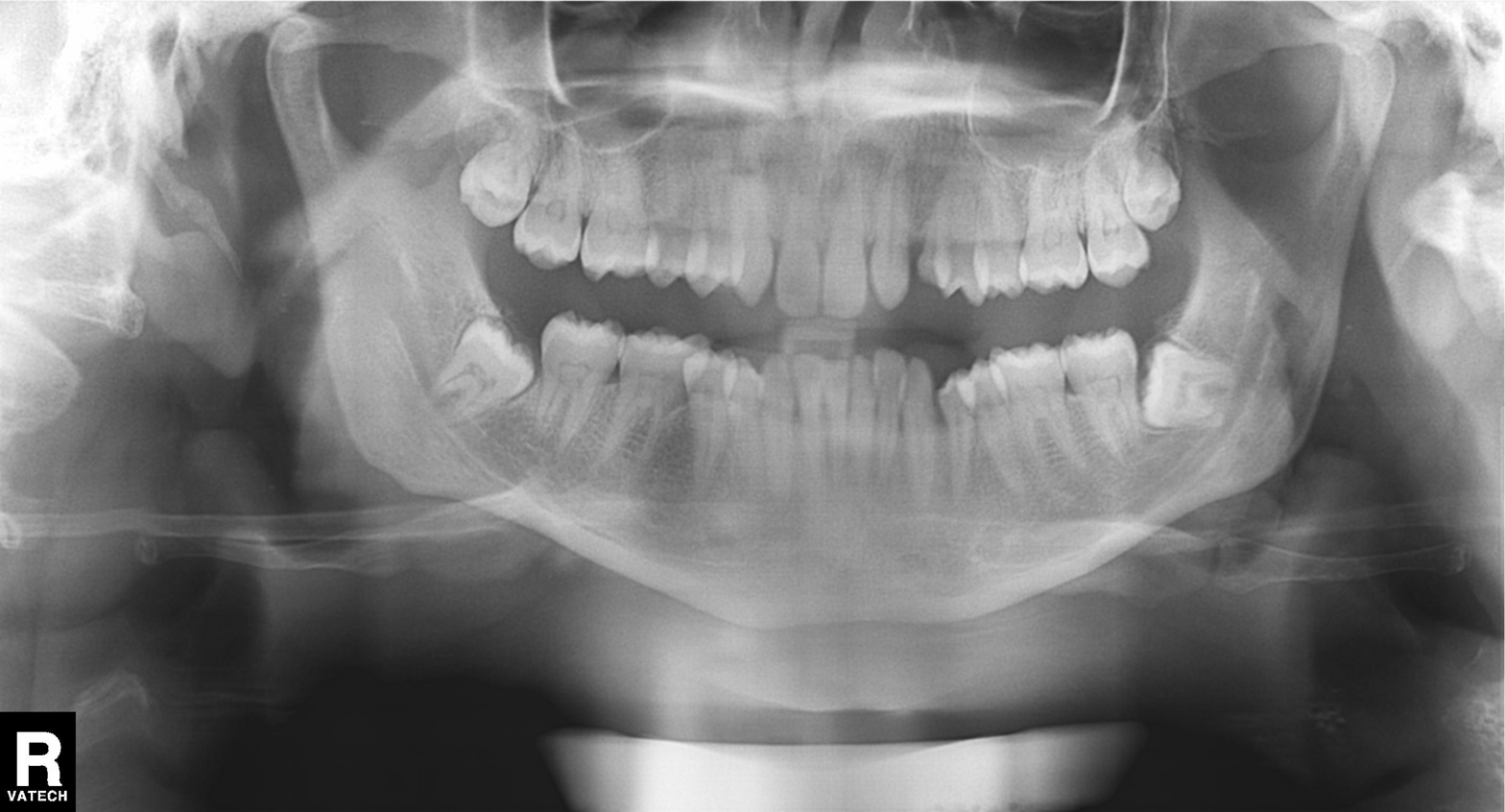
• modality · panoramic dental radiograph (orthopantomogram)
• finding · alveolar bone loss